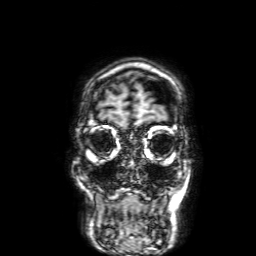
3 Tesla brain MRI.
Series: 3D T1-weighted with SENSE.
Study: ring-enhancing brain masses.